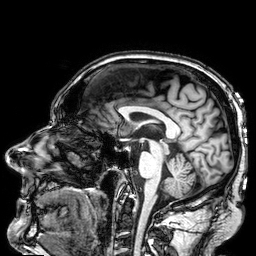
3 Tesla brain MRI.
Series: 3D T1-weighted.
Study: ring-enhancing brain masses.